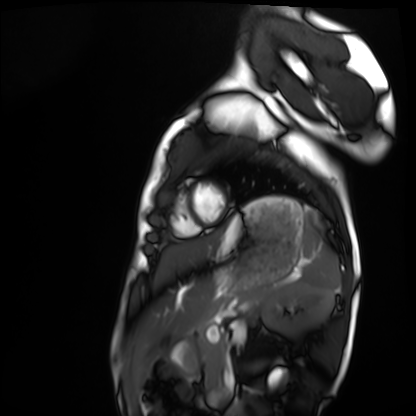
Cardiac MRI. Subject group: healthy volunteer.